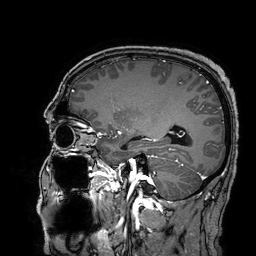
  modality:
    type: brain MRI
    field_strength: 3T
  series: 3D T1-weighted turbo field echo with SENSE
  study_topic: ring-enhancing brain masses